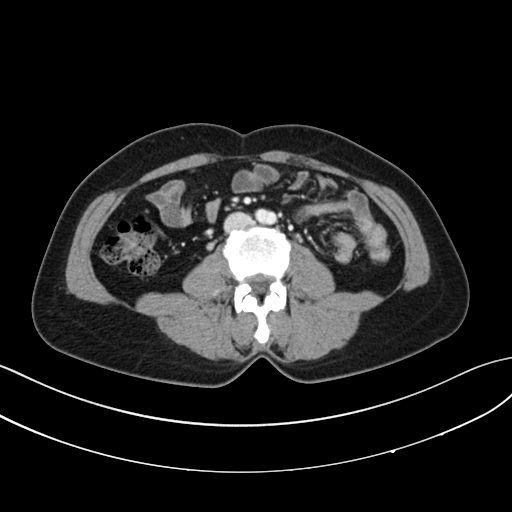
Q: What kind of scan is this?
A: Multiphase abdominal CT, liver, portal venous phase.
Q: Patient?
A: Female, age 43.
Q: History?
A: Prior chemotherapy.